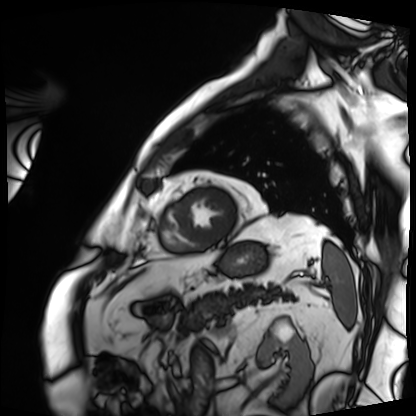
Cardiac MRI. Subject group: patient.